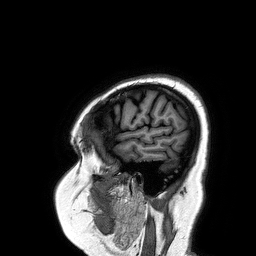
3 Tesla brain MRI.
Series: 3D T1-weighted turbo field echo.
Study: ring-enhancing brain masses.